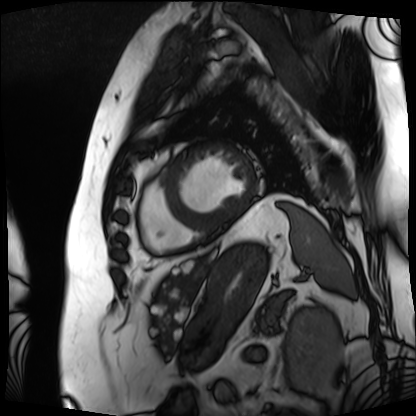
Summary:
Cardiac MRI. Subject group: patient.